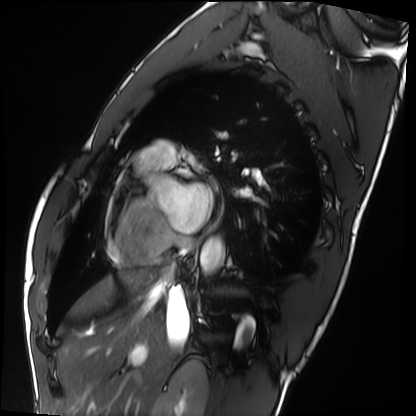
modality: cardiac MRI | subject group: healthy volunteer.